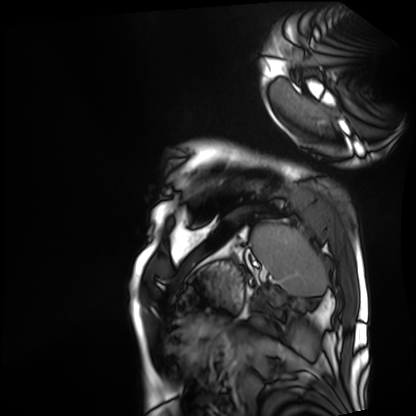
• modality — cardiac MRI
• subject group — patient